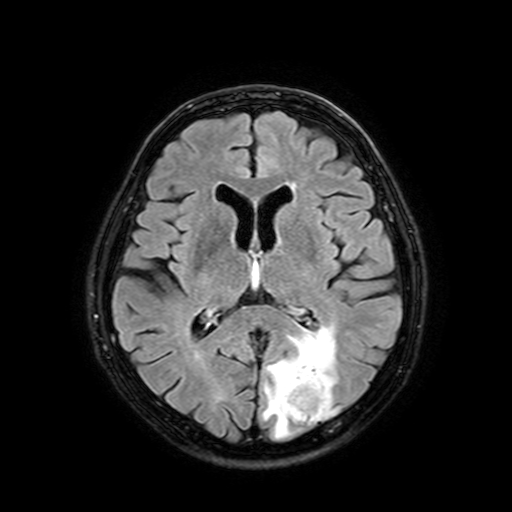
modality = 3 Tesla brain MRI; series = FLAIR with SPAIR, 3 mm; study = ring-enhancing brain masses.